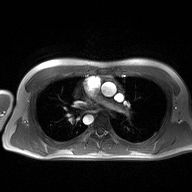
Case summary: 2D phase-contrast cine MRI of the ascending aorta, high-resolution GRAPPA acquisition.